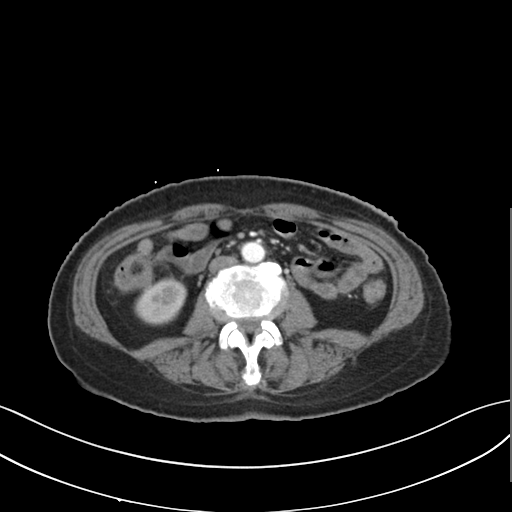
Multiphase abdominal CT, liver, arterial phase. Patient: female, age 58. History: prior chemotherapy.